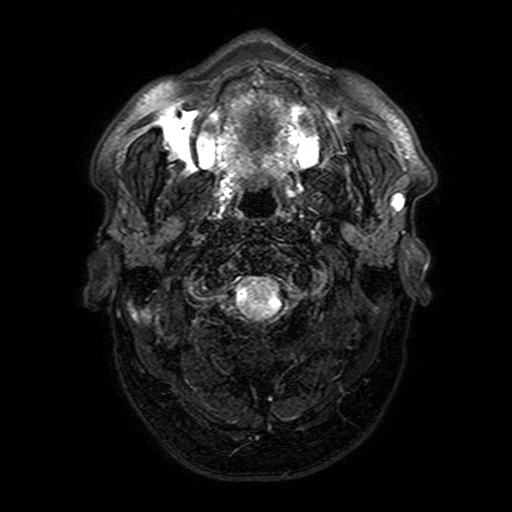
Case:
- modality · 3 Tesla brain MRI
- series · FLAIR with SPAIR, 3 mm
- study · ring-enhancing brain masses